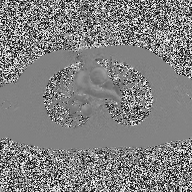
Clinical context: 2D phase-contrast cine MRI of the ascending aorta, high-resolution GRAPPA acquisition.